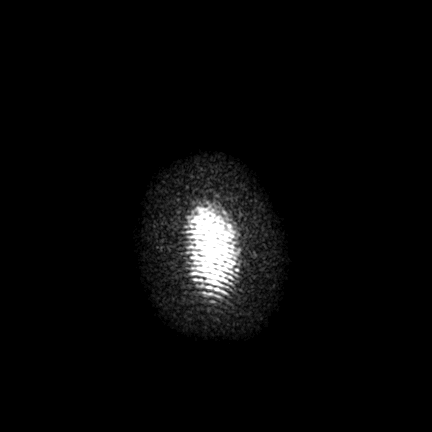
3 Tesla brain MRI. Series: FLAIR VISTA with SENSE. Study: ring-enhancing brain masses.